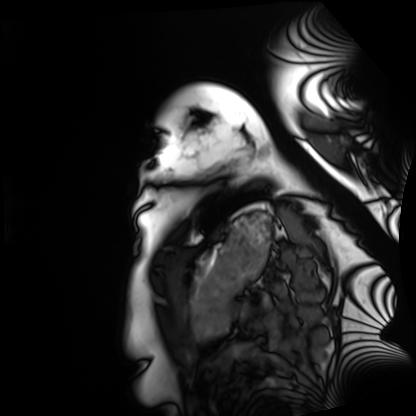
Summary: Cardiac MRI. Subject group: healthy volunteer.